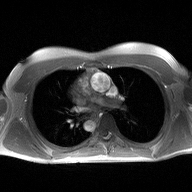
modality: 2D phase-contrast cine MRI of the ascending aorta.